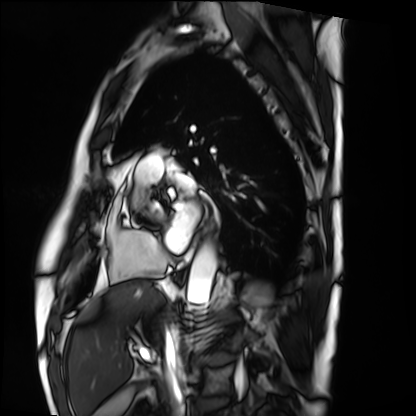
Q: What kind of scan is this?
A: Cardiac MRI.
Subject group: patient.